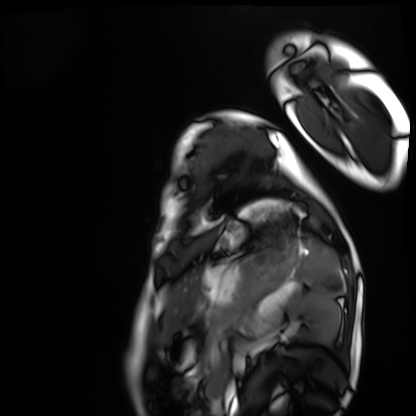
Cardiac MRI. Subject group: healthy volunteer.